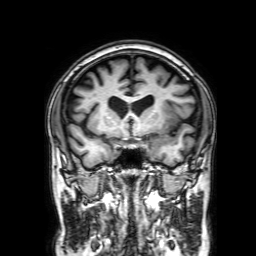
Summary:
3 Tesla brain MRI. Series: 3D T1-weighted with SENSE. Study: ring-enhancing brain masses.